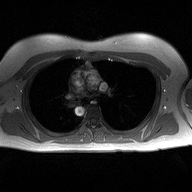
2D phase-contrast cine MRI of the ascending aorta, high-resolution GRAPPA acquisition.